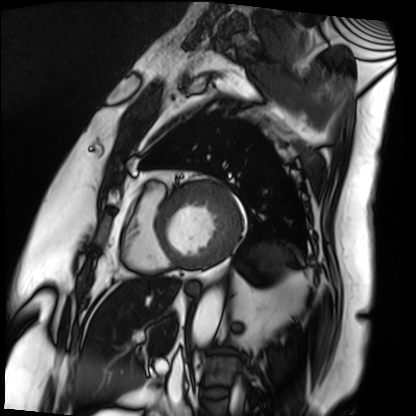
modality: cardiac MRI; subject group: patient.